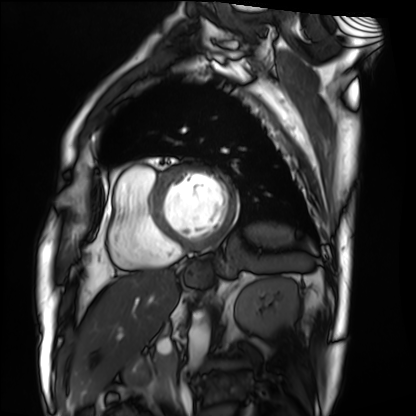
<case>
<modality>cardiac MRI</modality>
<cohort>patient</cohort>
</case>